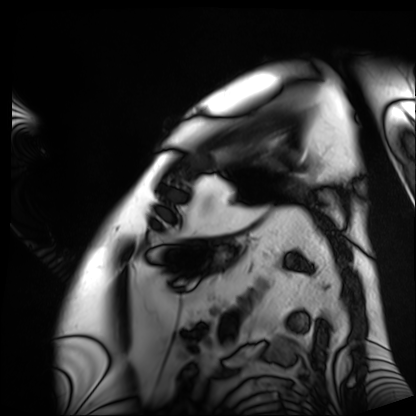
Cardiac MRI.
Subject group: patient.